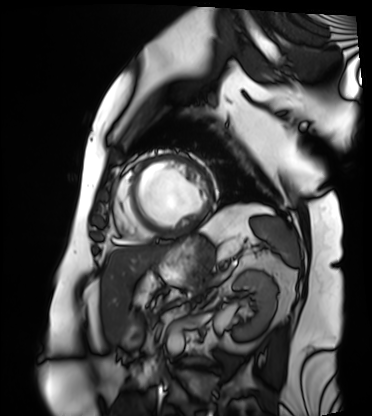
Case:
* modality · cardiac MRI
* subject group · patient